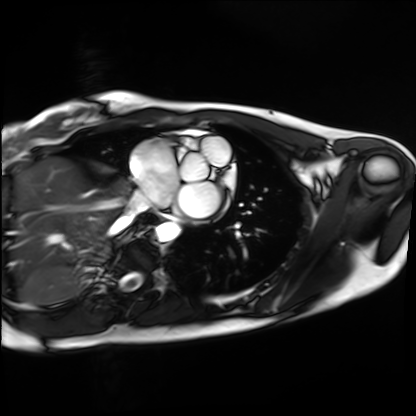
Case summary:
Cardiac MRI. Subject group: healthy volunteer.